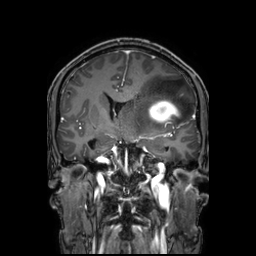
modality = 3 Tesla brain MRI | series = 3D T1-weighted TFE with SENSE | study = ring-enhancing brain masses.